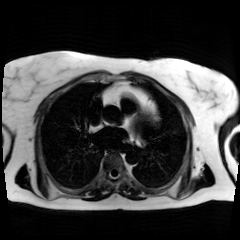
* modality: chemical-shift-encoded cardiac MRI